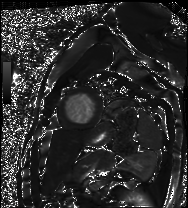
Summary:
Cardiac MRI. Subject group: patient.